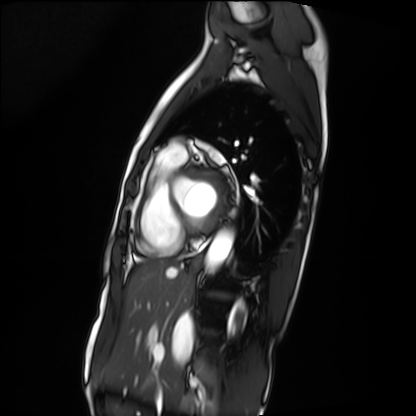
Cardiac MRI.
Subject group: patient.